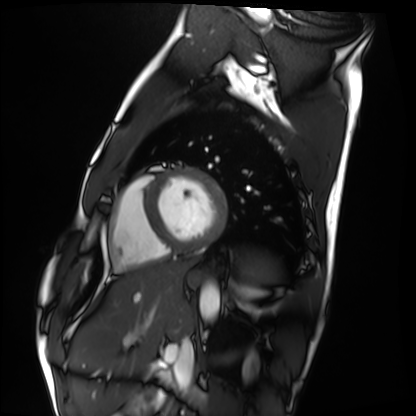
| field | value |
|---|---|
| modality | cardiac MRI |
| subject group | healthy volunteer |